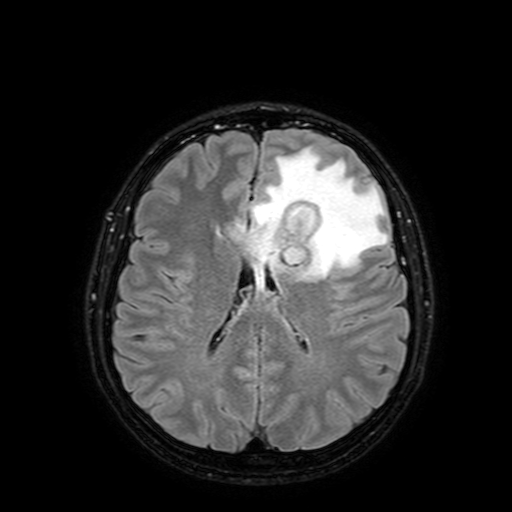
{
  "modality": {
    "type": "brain MRI",
    "field_strength": "3T"
  },
  "series": "FLAIR with SPAIR, 3 mm",
  "study_topic": "ring-enhancing brain masses"
}